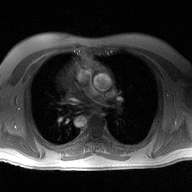
{
  "modality": {
    "type": "2D phase-contrast cine MRI",
    "region": "ascending aorta",
    "reconstruction": "high-resolution GRAPPA acquisition"
  }
}